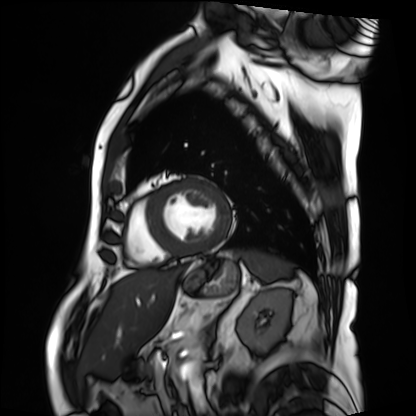
Summary:
Cardiac MRI. Subject group: patient.